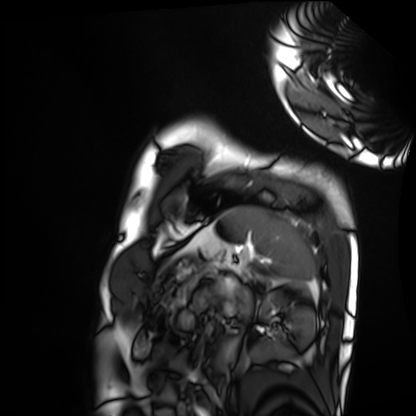
Cardiac MRI. Subject group: healthy volunteer.